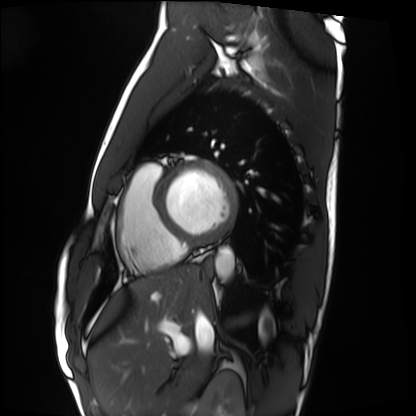
Cardiac MRI.
Subject group: healthy volunteer.